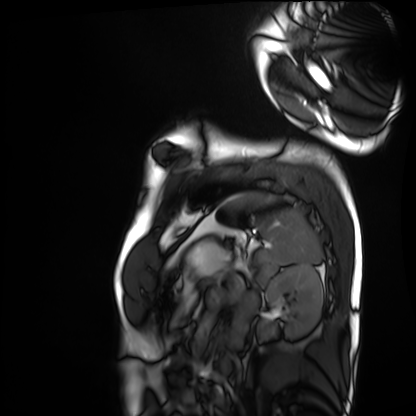
Cardiac MRI. Subject group: healthy volunteer.